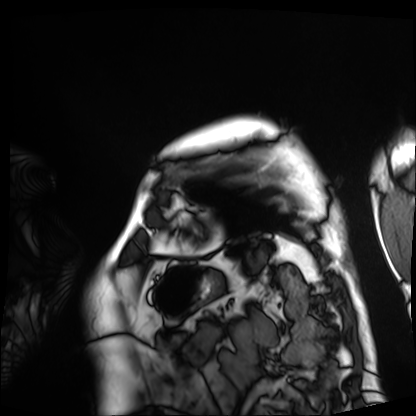
Cardiac MRI. Subject group: patient.